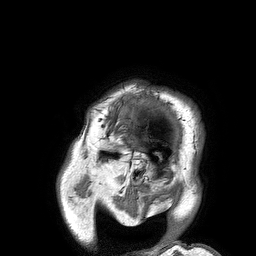
<record>
<modality>
  <type>brain MRI</type>
  <field_strength>3T</field_strength>
</modality>
<series>3D T1-weighted turbo field echo</series>
<study_topic>ring-enhancing brain masses</study_topic>
</record>